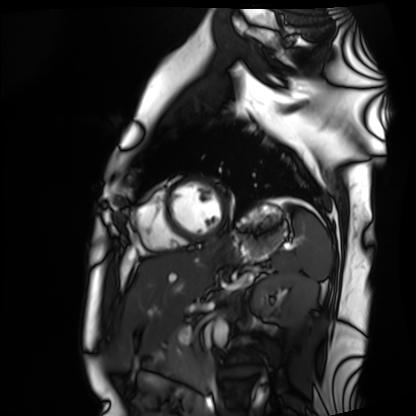
Cardiac MRI. Subject group: healthy volunteer.